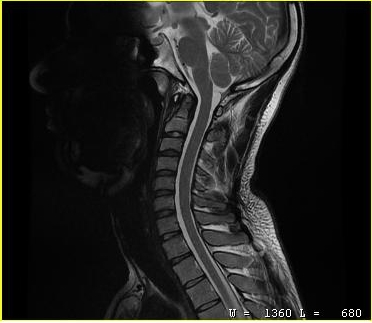
{
  "modality": {
    "type": "cervical spine MRI"
  },
  "study_topic": "cervical spondylosis"
}